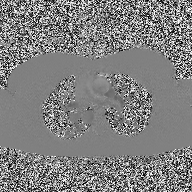
modality: 2D phase-contrast cine MRI of the ascending aorta